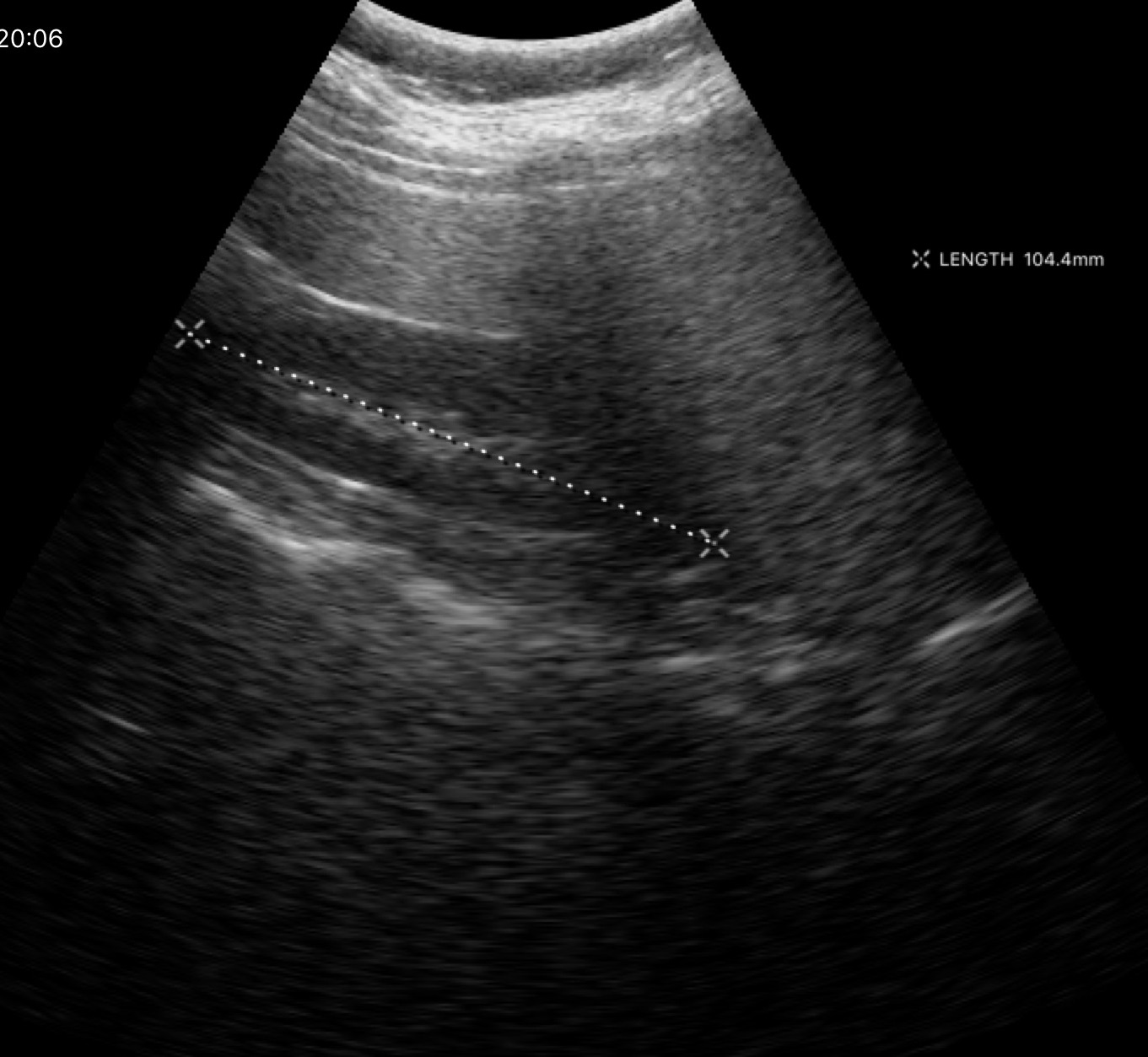
Genitourinary ultrasound.